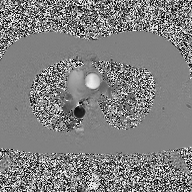
<scan>
  <modality>
    <type>2D phase-contrast cine MRI</type>
    <region>ascending aorta</region>
    <reconstruction>high-resolution GRAPPA acquisition</reconstruction>
  </modality>
</scan>